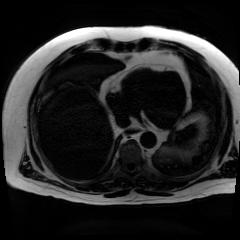
Summary:
Chemical-shift-encoded cardiac MRI.